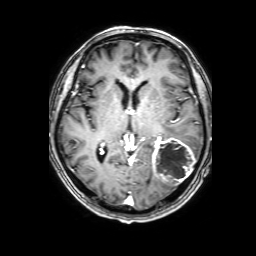
modality: 3 Tesla brain MRI | series: 3D T1-weighted with SENSE | study: ring-enhancing brain masses.